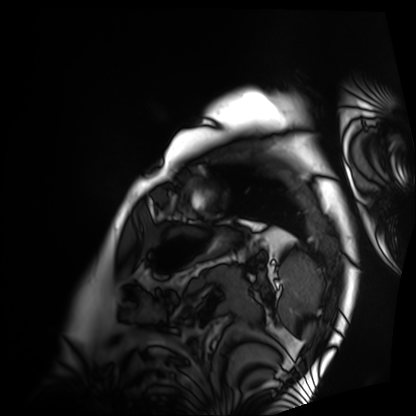
Summary:
Cardiac MRI. Subject group: patient.